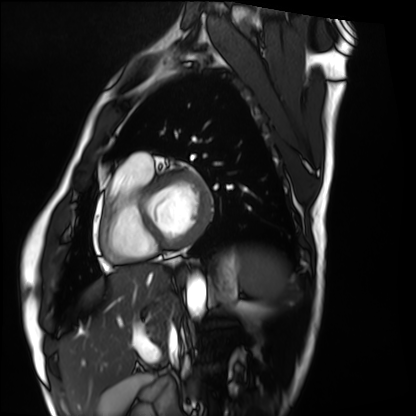
Cardiac MRI. Subject group: healthy volunteer.